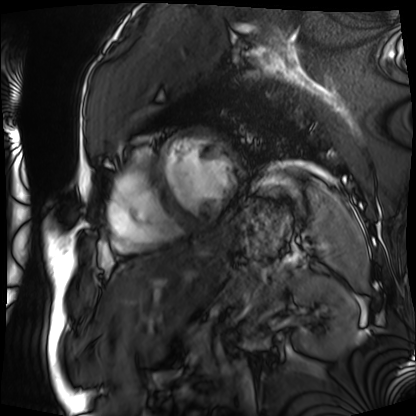
Q: What kind of scan is this?
A: Cardiac MRI.
Subject group: patient.